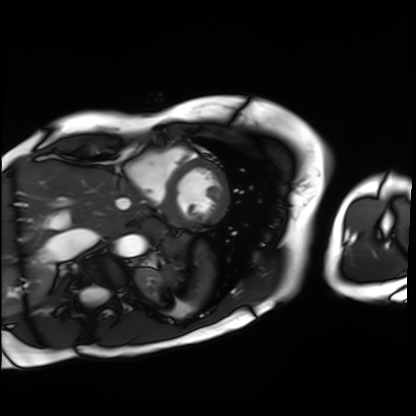
{
  "modality": "cardiac MRI",
  "cohort": "patient"
}